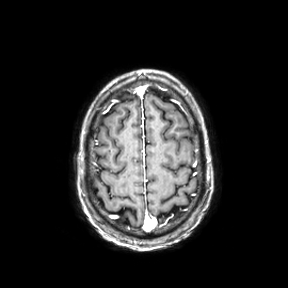
modality: 3 Tesla brain MRI | series: axial | study: ring-enhancing brain masses.